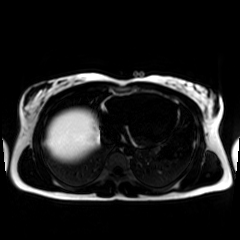
Chemical-shift-encoded cardiac MRI.